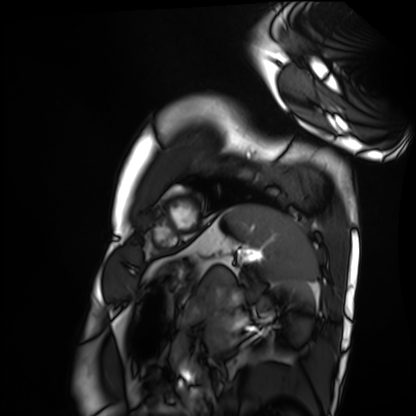
Case summary: Cardiac MRI. Subject group: healthy volunteer.